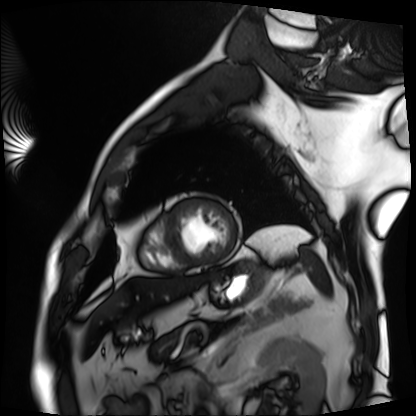
Clinical context: Cardiac MRI. Subject group: patient.